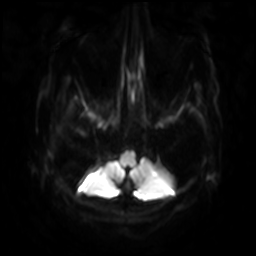
Q: What kind of scan is this?
A: 3 Tesla brain MRI.
Q: Series?
A: Diffusion-weighted imaging with SENSE (WIP).
Study: ring-enhancing brain masses.